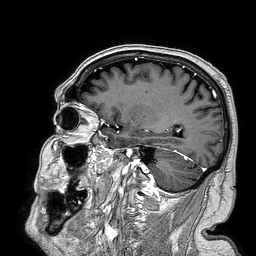
Clinical context:
3 Tesla brain MRI. Series: 3D T1-weighted turbo field echo. Study: ring-enhancing brain masses.